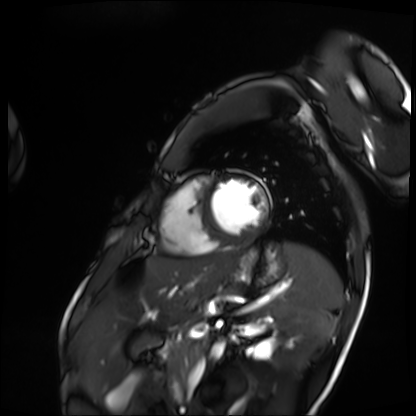
Cardiac MRI. Subject group: patient.